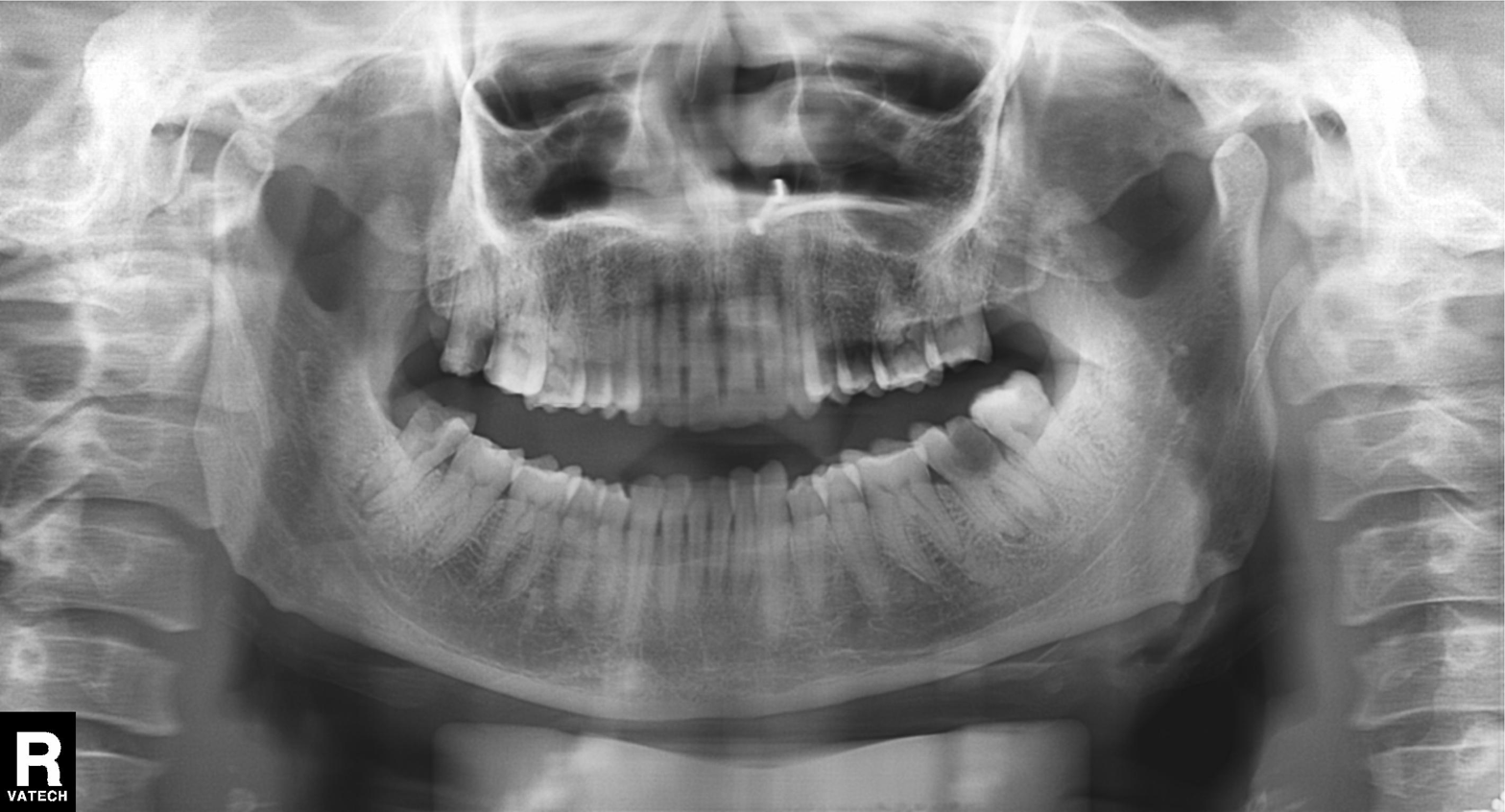
| field | value |
|---|---|
| modality | panoramic dental radiograph (orthopantomogram) |
| finding | tooth impaction |